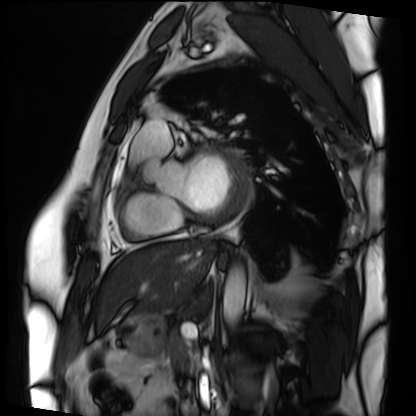
Summary:
Cardiac MRI. Subject group: patient.